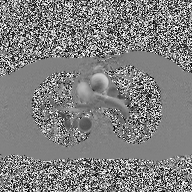
modality: 2D phase-contrast cine MRI of the ascending aorta.